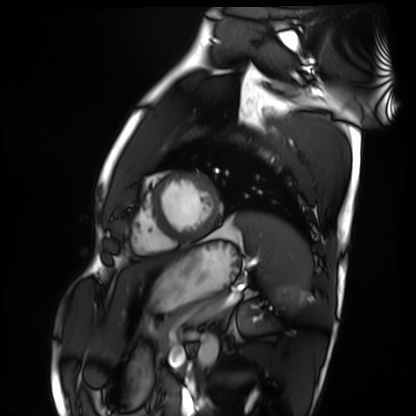
modality: cardiac MRI | subject group: healthy volunteer.